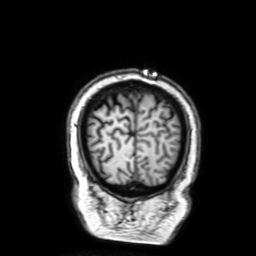
3 Tesla brain MRI. Series: 3D T1-weighted with SENSE. Study: ring-enhancing brain masses.